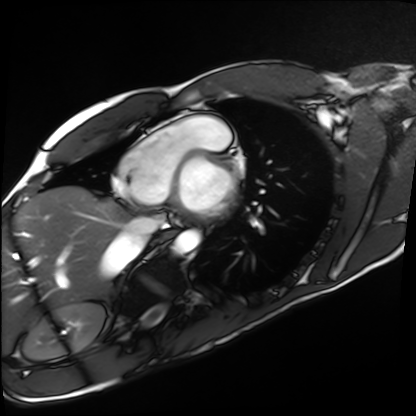
Summary:
Cardiac MRI. Subject group: healthy volunteer.